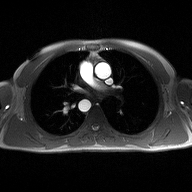
2D phase-contrast cine MRI of the ascending aorta, high-resolution GRAPPA acquisition.